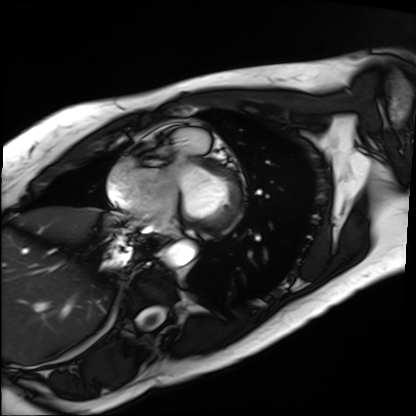
Cardiac MRI. Subject group: patient.